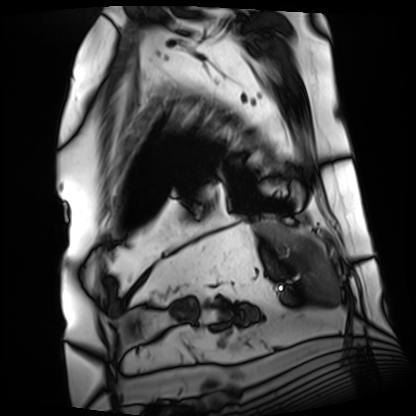
Cardiac MRI.
Subject group: patient.